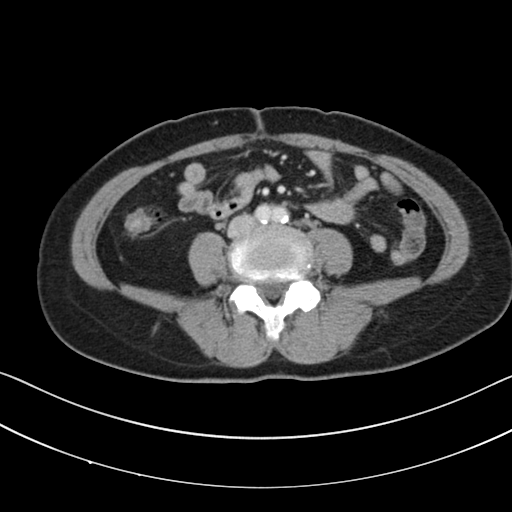
Clinical context:
Multiphase abdominal CT, liver, portal venous phase. Patient: female, age 57.